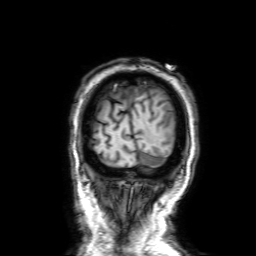
Case:
– modality — 3 Tesla brain MRI
– study — ring-enhancing brain masses